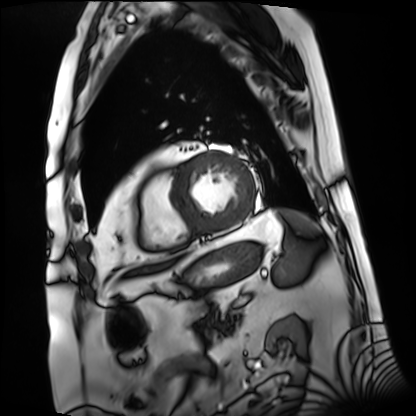
Q: What kind of scan is this?
A: Cardiac MRI.
Subject group: patient.